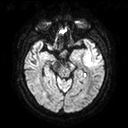
3 Tesla brain MRI.
Series: diffusion tensor imaging (medium iso).
Study: ring-enhancing brain masses.